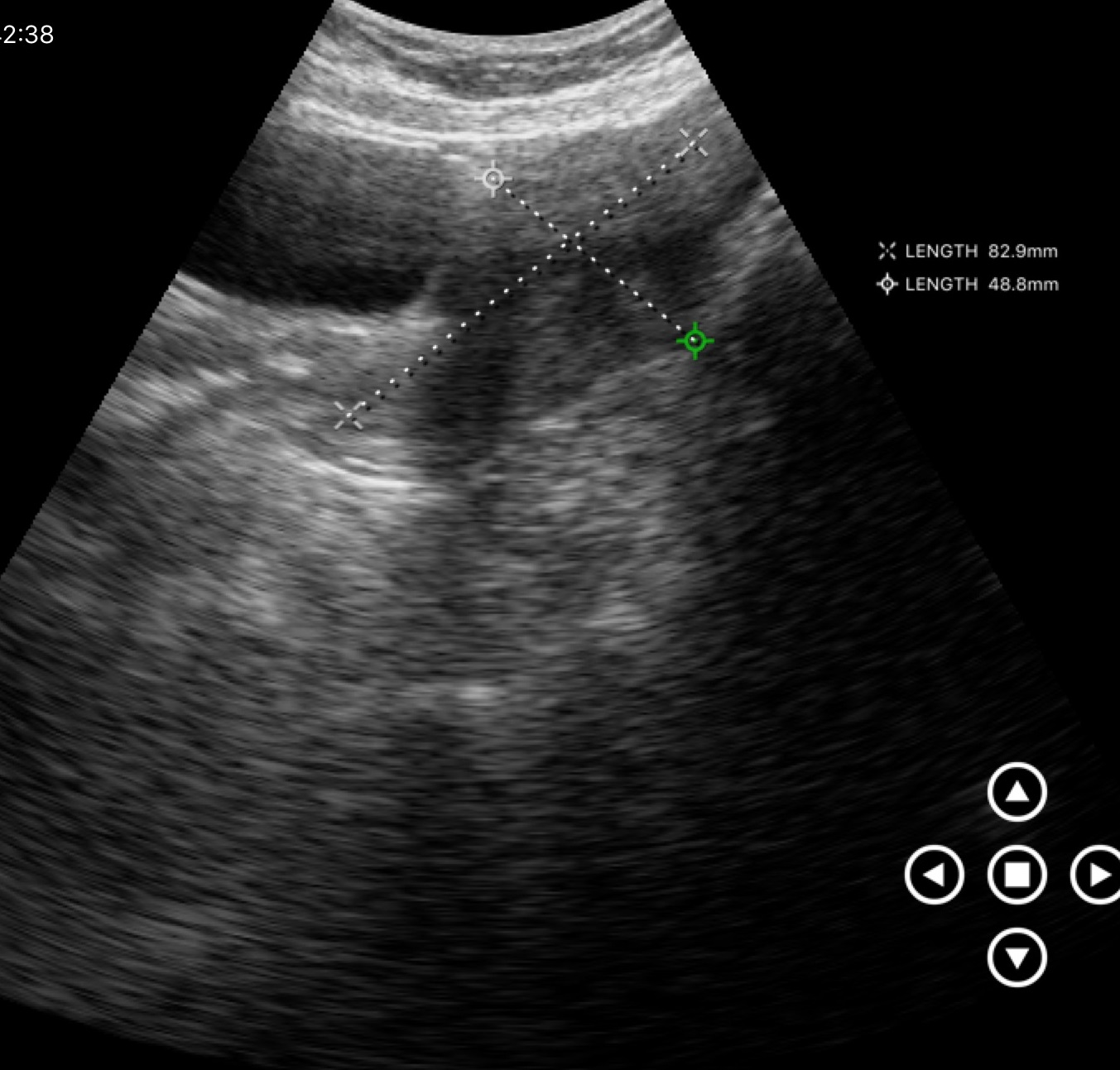
Case:
– modality · genitourinary ultrasound